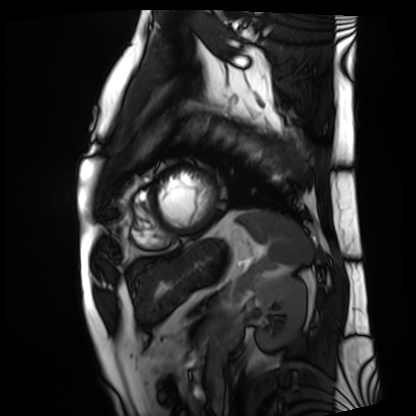
Cardiac MRI. Subject group: patient.